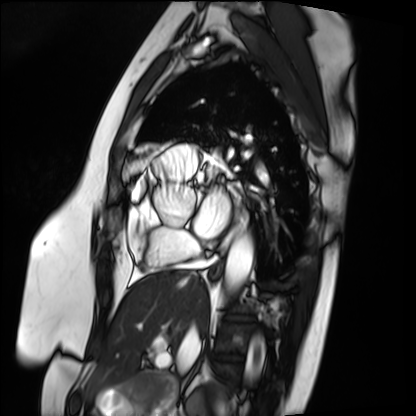
Cardiac MRI. Subject group: patient.